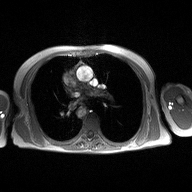
Summary:
2D phase-contrast cine MRI of the ascending aorta, high-resolution GRAPPA acquisition.